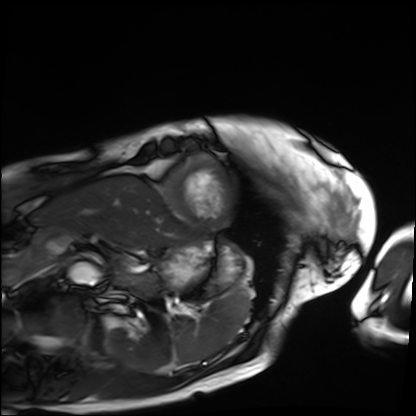
Summary: Cardiac MRI. Subject group: patient.